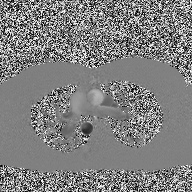
Q: What kind of scan is this?
A: 2D phase-contrast cine MRI of the ascending aorta.